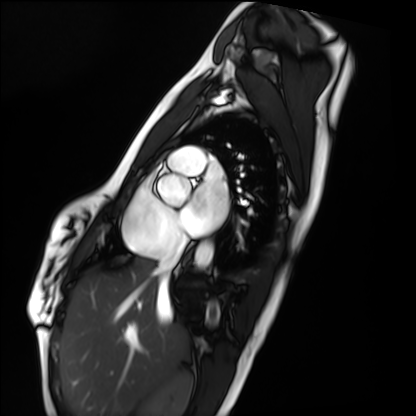
Cardiac MRI. Subject group: healthy volunteer.